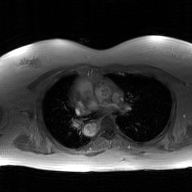
Case:
- modality · 2D phase-contrast cine MRI of the ascending aorta, GAN super-resolution reconstruction